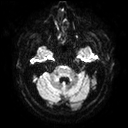
Summary:
3 Tesla brain MRI. Series: diffusion tensor imaging (medium iso). Study: ring-enhancing brain masses.